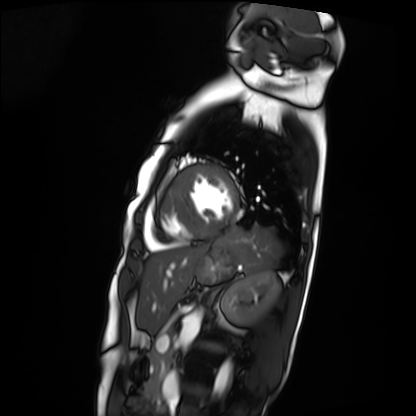
Cardiac MRI.
Subject group: patient.